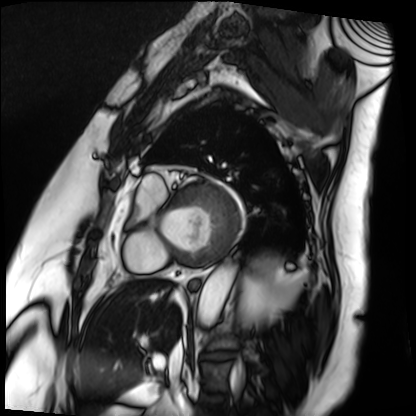
Clinical context: Cardiac MRI. Subject group: patient.